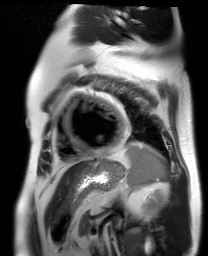
Cardiac MR image of the myocardium. Subject cohort: cardiac patient.